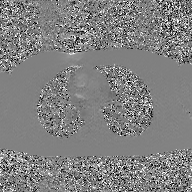
| field | value |
|---|---|
| modality | 2D phase-contrast cine MRI of the ascending aorta, GAN super-resolution reconstruction |